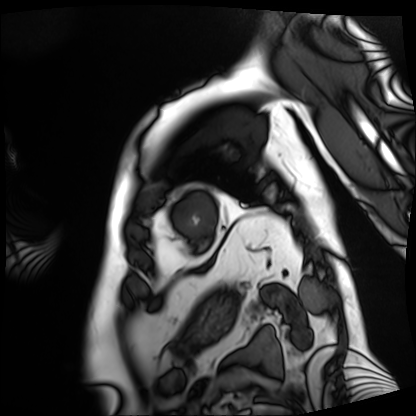
Summary:
Cardiac MRI. Subject group: patient.